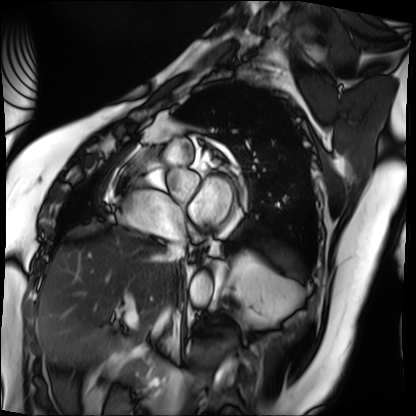
Cardiac MRI.
Subject group: patient.